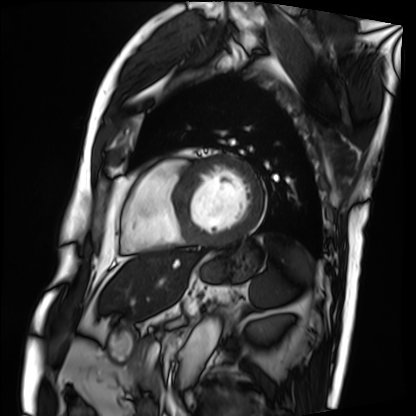
Clinical context: Cardiac MRI. Subject group: patient.